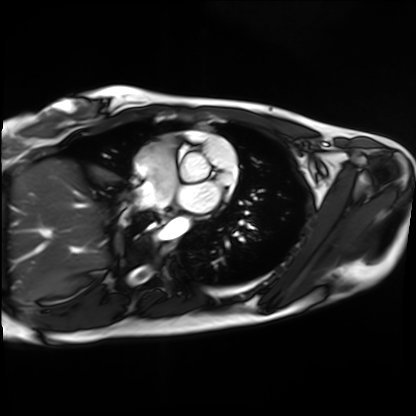
Cardiac MRI. Subject group: healthy volunteer.